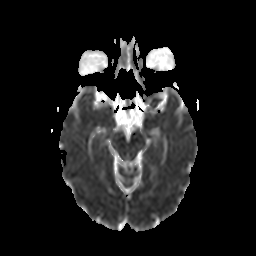
Case:
* modality: 3 Tesla brain MRI
* series: diffusion-weighted imaging with CLEAR
* study: ring-enhancing brain masses